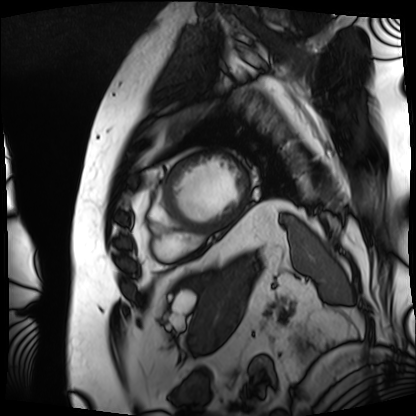
modality = cardiac MRI; subject group = patient.